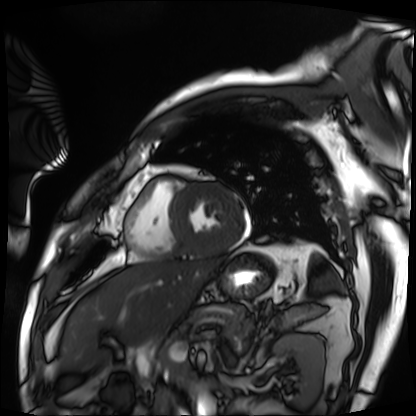
Clinical context:
Cardiac MRI. Subject group: patient.